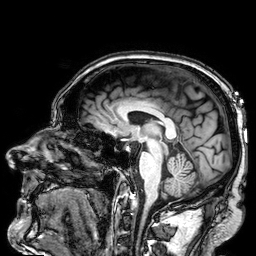
3 Tesla brain MRI. Study: ring-enhancing brain masses.